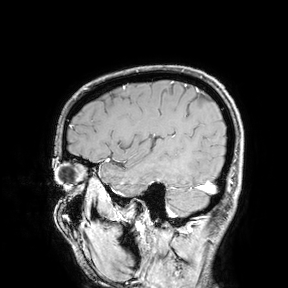
modality:
  type: brain MRI
  field_strength: 3T
study_topic: ring-enhancing brain masses